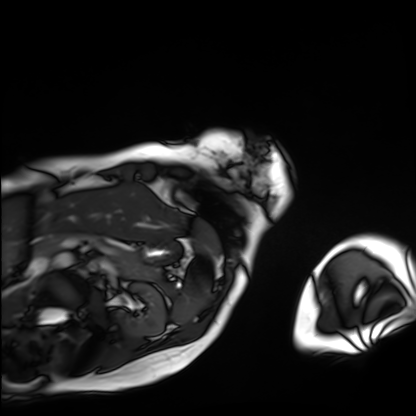
Cardiac MRI.
Subject group: patient.